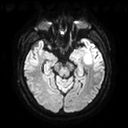
3 Tesla brain MRI. Series: diffusion tensor imaging (medium iso). Study: ring-enhancing brain masses.